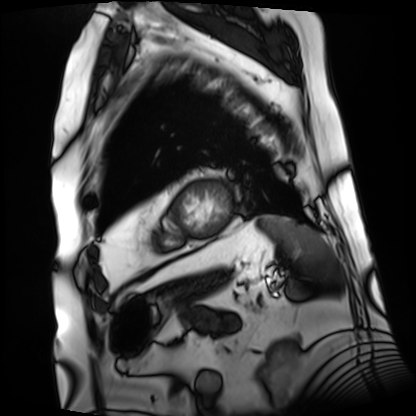
Cardiac MRI. Subject group: patient.